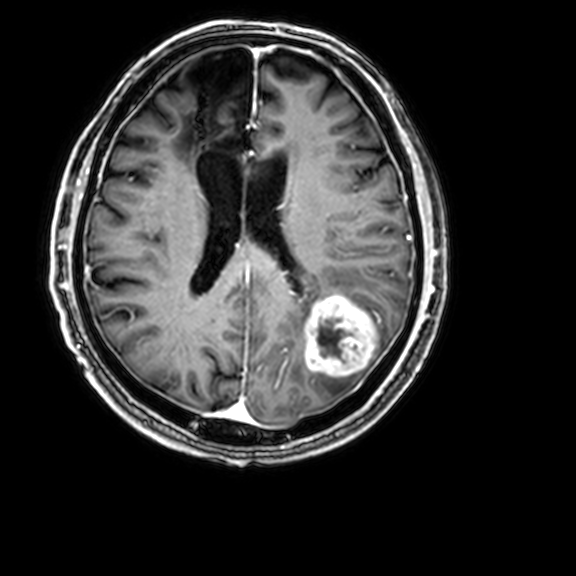
3 Tesla brain MRI.
Series: 3D T1-weighted with CLEAR.
Study: ring-enhancing brain masses.